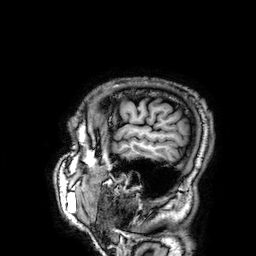
modality: 3 Tesla brain MRI
series: 3D T1-weighted
study: ring-enhancing brain masses